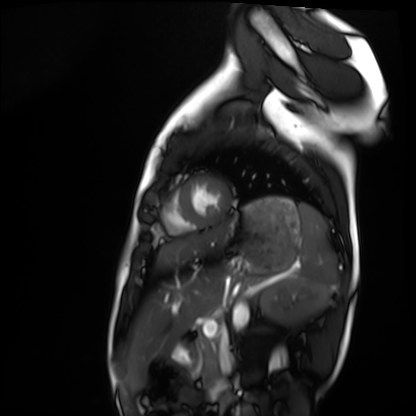
Case summary: Cardiac MRI. Subject group: healthy volunteer.